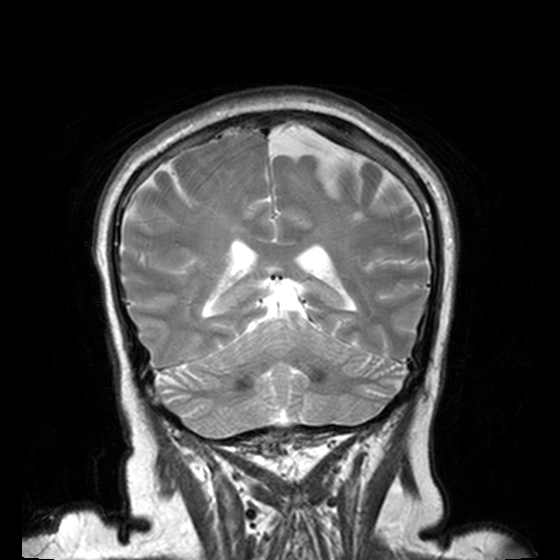
3 Tesla brain MRI.
Series: T2-weighted turbo spin echo, 3 mm.
Study: ring-enhancing brain masses.